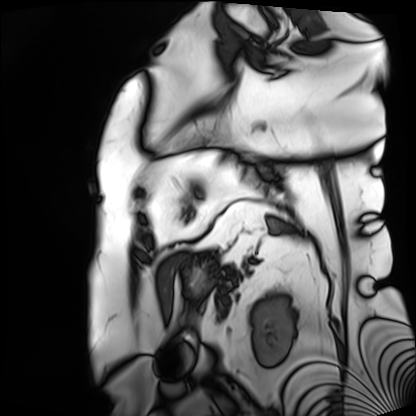
Cardiac MRI.
Subject group: patient.